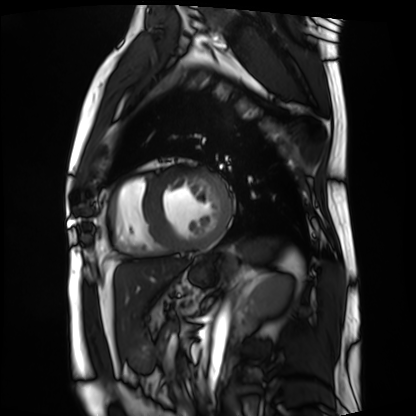
Cardiac MRI. Subject group: patient.